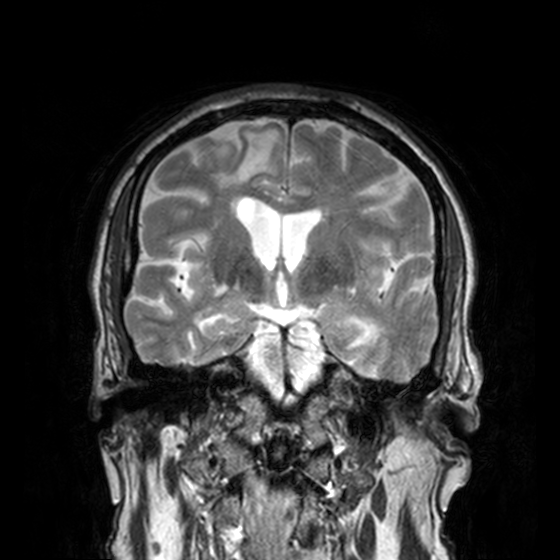
Summary:
3 Tesla brain MRI. Series: T2-weighted turbo spin echo, 3 mm. Study: ring-enhancing brain masses.